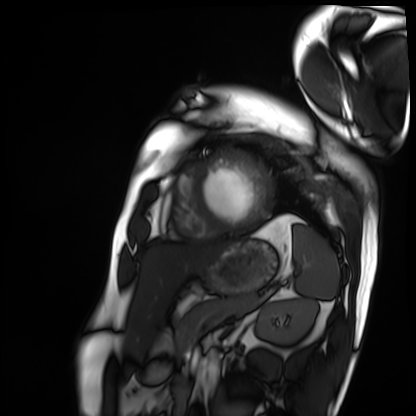
Summary: Cardiac MRI. Subject group: patient.